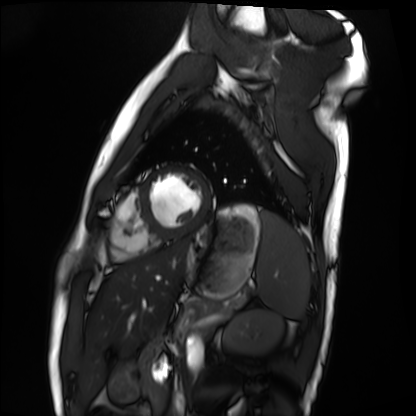
Cardiac MRI. Subject group: healthy volunteer.